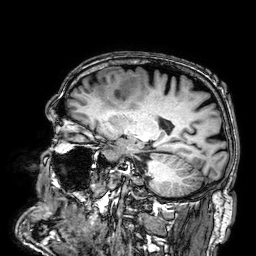
  modality:
    type: brain MRI
    field_strength: 3T
  series: 3D T1-weighted
  study_topic: ring-enhancing brain masses